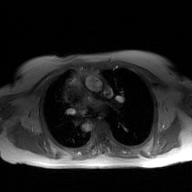
2D phase-contrast cine MRI of the ascending aorta, GAN super-resolution reconstruction.